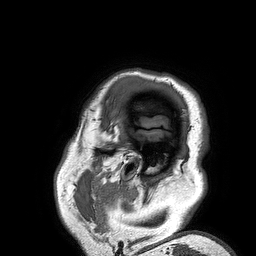
3 Tesla brain MRI.
Series: 3D T1-weighted turbo field echo.
Study: ring-enhancing brain masses.